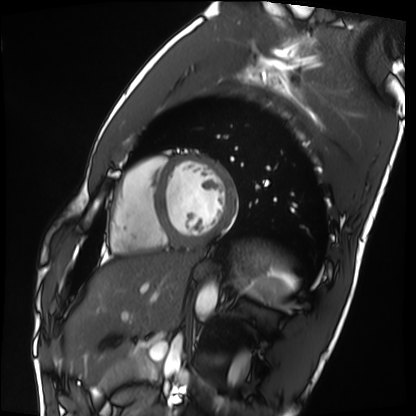
Q: What kind of scan is this?
A: Cardiac MRI.
Subject group: healthy volunteer.